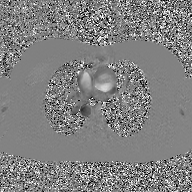
modality = 2D phase-contrast cine MRI of the ascending aorta, GAN super-resolution reconstruction.